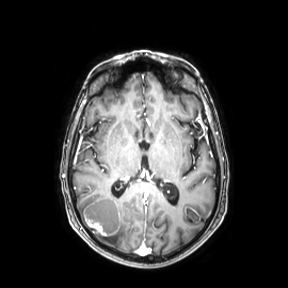
3 Tesla brain MRI. Series: axial. Study: ring-enhancing brain masses.